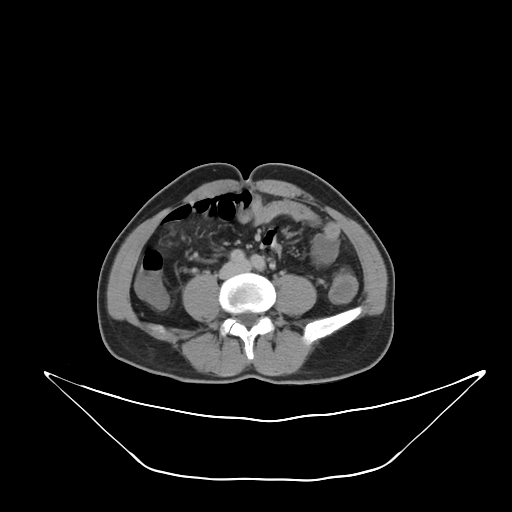
modality — multiphase abdominal CT, liver, delayed phase; patient — male, age 56.